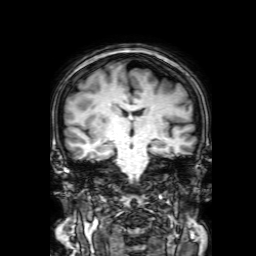
{"modality": {"type": "brain MRI", "field_strength": "3T"}, "series": "3D T1-weighted with SENSE", "study_topic": "ring-enhancing brain masses"}